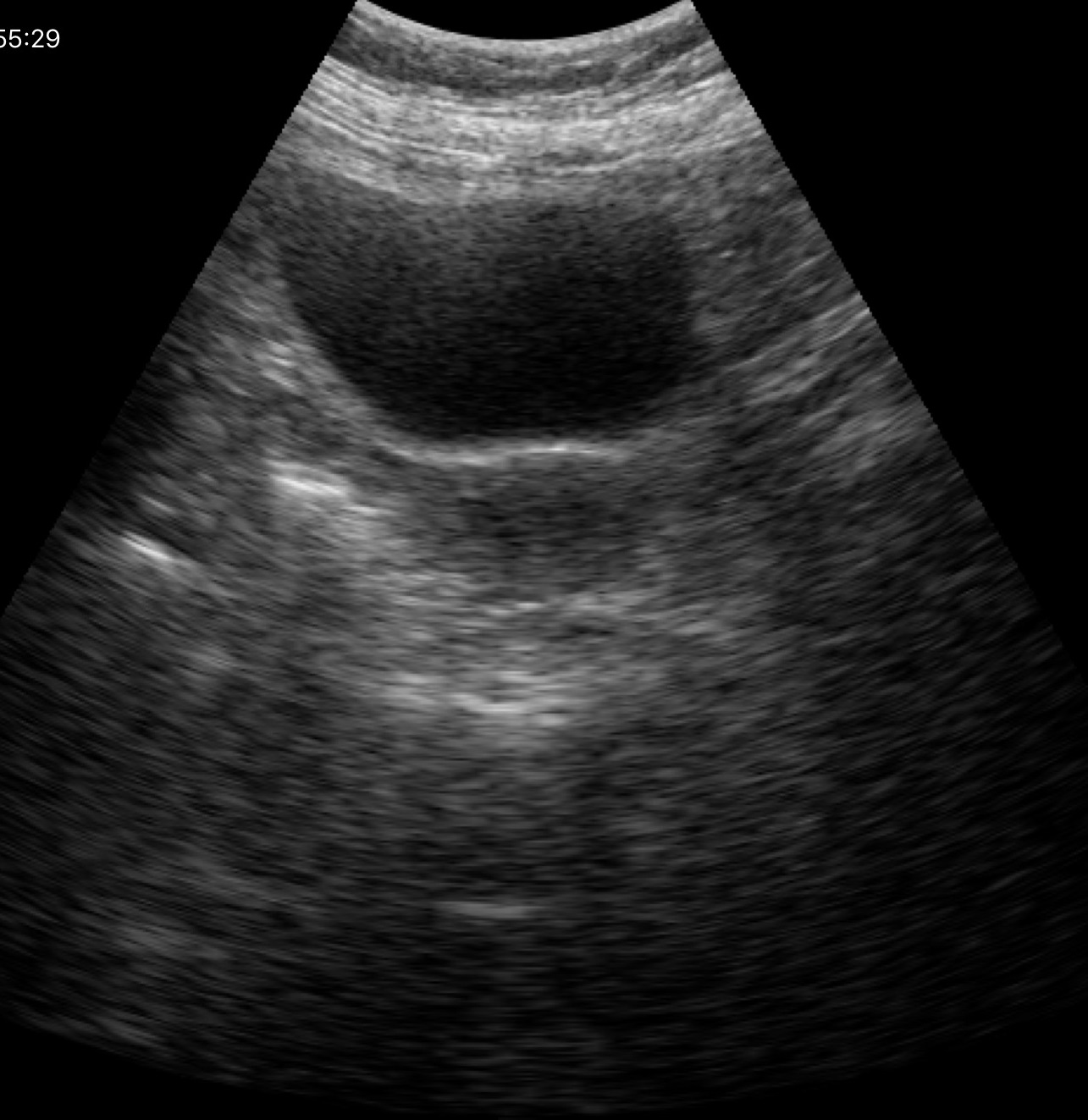
Clinical context: Genitourinary ultrasound.